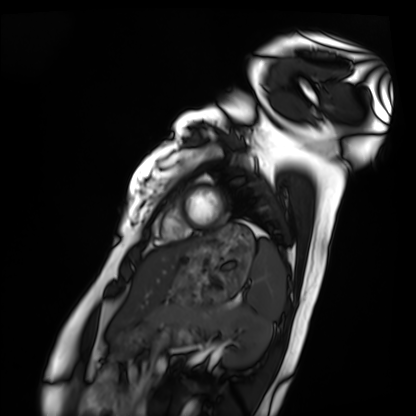
modality: cardiac MRI; subject group: healthy volunteer.